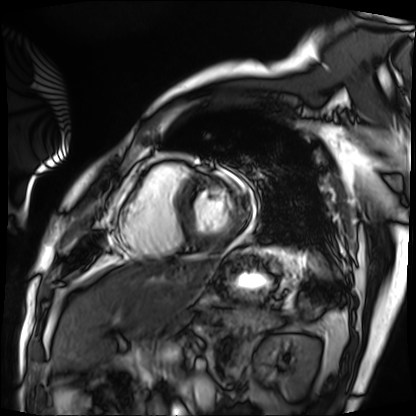
Cardiac MRI.
Subject group: patient.